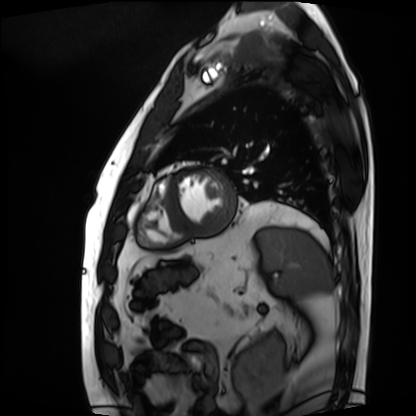
Clinical context:
Cardiac MRI. Subject group: patient.